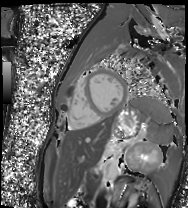
<scan>
<modality>cardiac MR image of the myocardium</modality>
<cohort>healthy volunteer</cohort>
</scan>